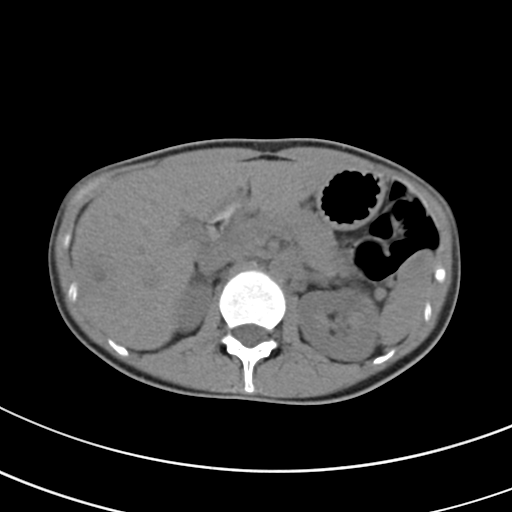
modality:
  type: multiphase abdominal CT
  region: liver
  phase: non-contrast
patient:
  sex: female
  age: 27